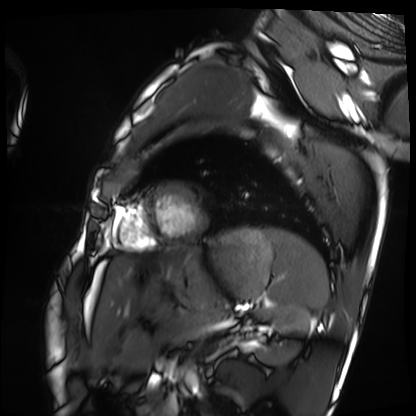
Cardiac MRI. Subject group: healthy volunteer.